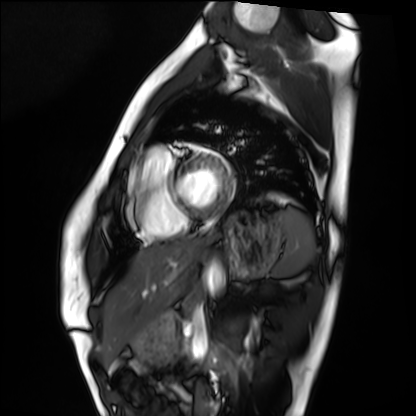
Clinical context: Cardiac MRI. Subject group: healthy volunteer.